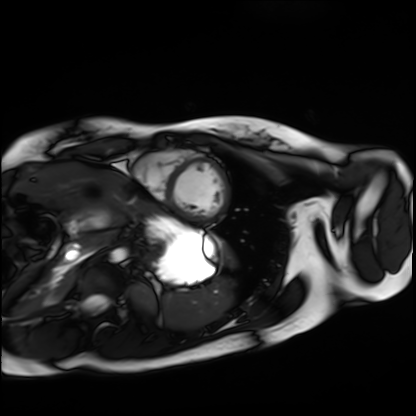
modality: cardiac MRI | subject group: healthy volunteer.